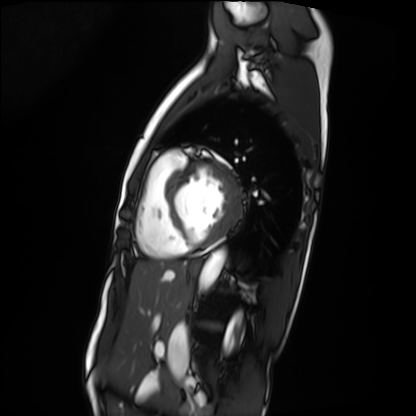
Summary: Cardiac MRI. Subject group: patient.